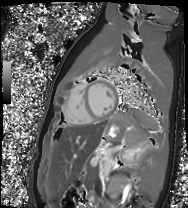
| field | value |
|---|---|
| modality | cardiac MR image of the myocardium |
| subject cohort | healthy volunteer |